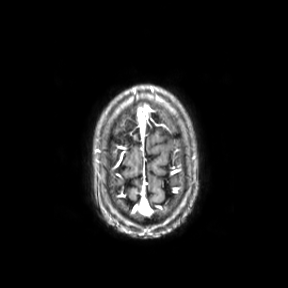
Case summary:
3 Tesla brain MRI. Series: axial. Study: ring-enhancing brain masses.